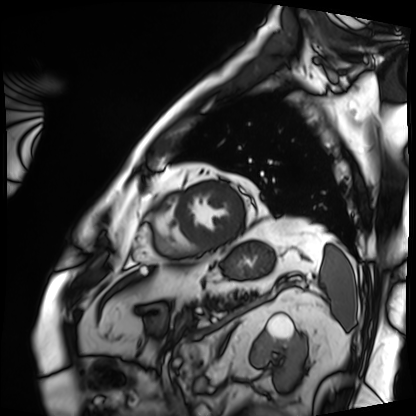
Summary:
Cardiac MRI. Subject group: patient.